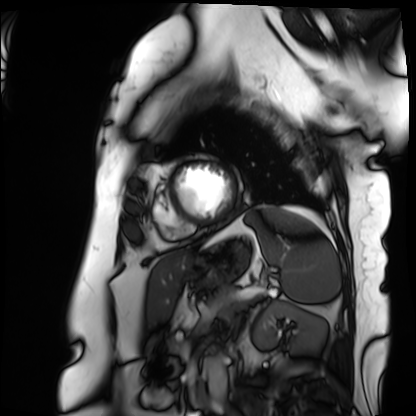
Q: What kind of scan is this?
A: Cardiac MRI.
Subject group: patient.